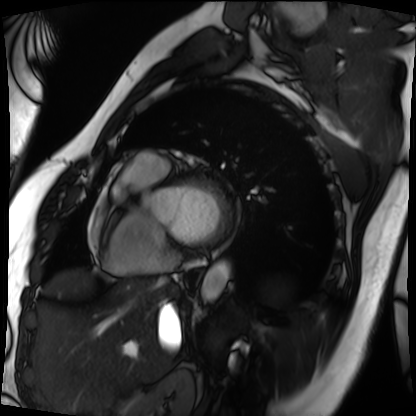
Case:
- modality — cardiac MRI
- subject group — patient